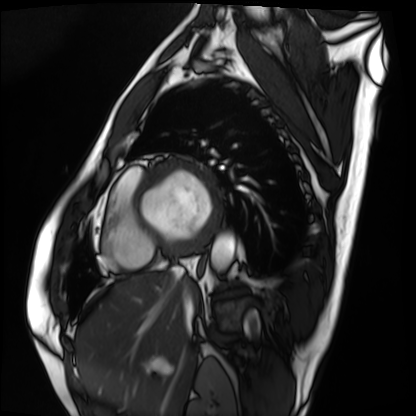
Cardiac MRI.
Subject group: patient.